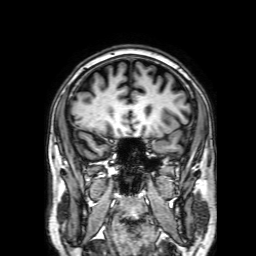
3 Tesla brain MRI. Series: 3D T1-weighted with SENSE. Study: ring-enhancing brain masses.